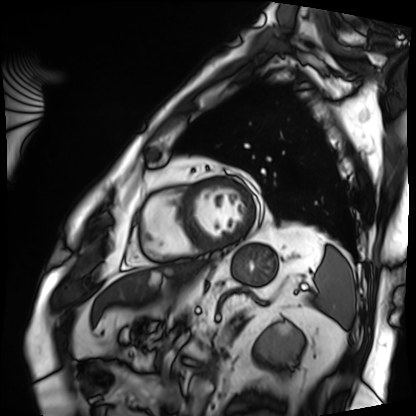
modality = cardiac MRI
subject group = patient